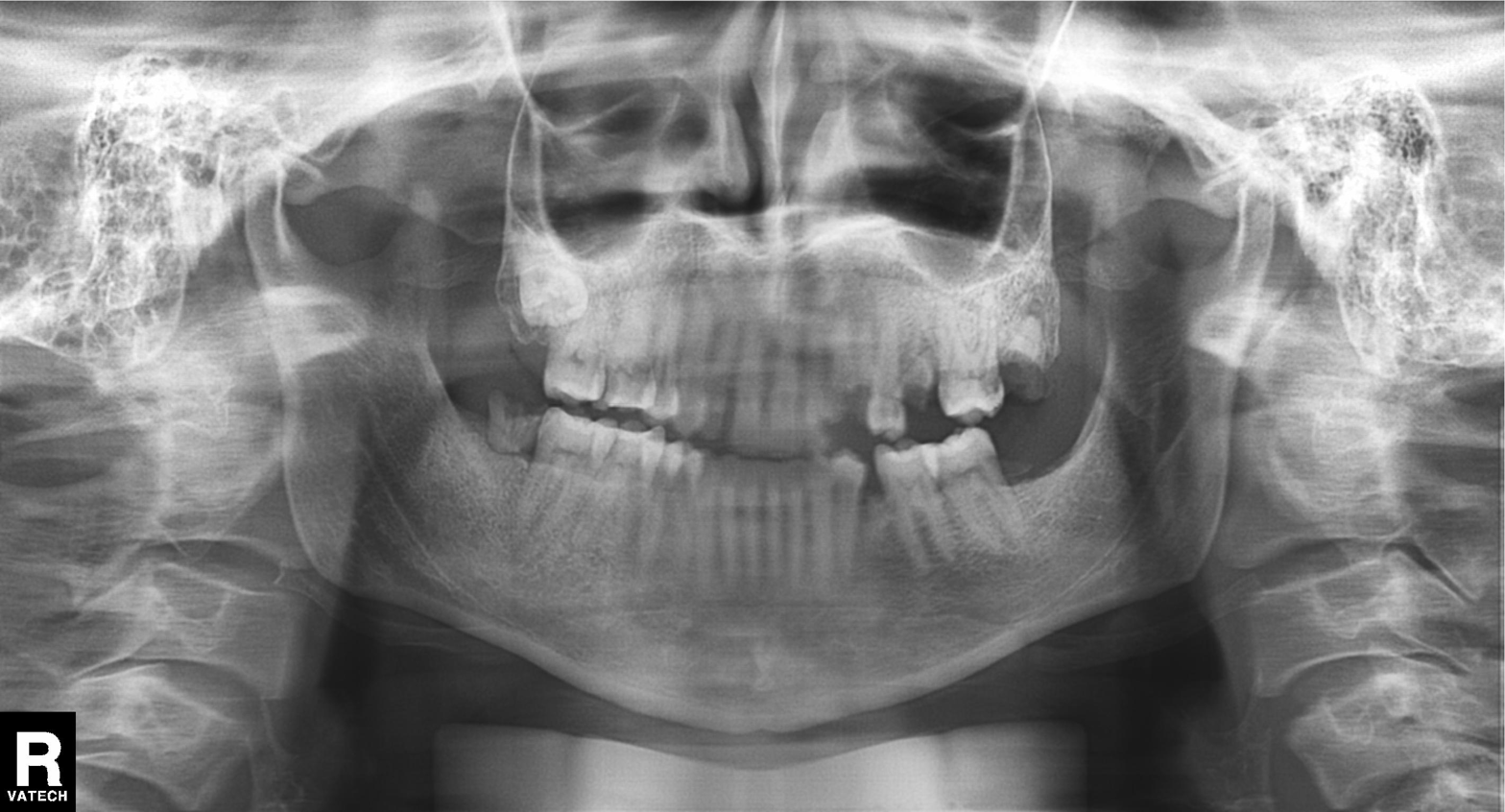
modality = panoramic dental radiograph (orthopantomogram) | finding = alveolar bone loss.